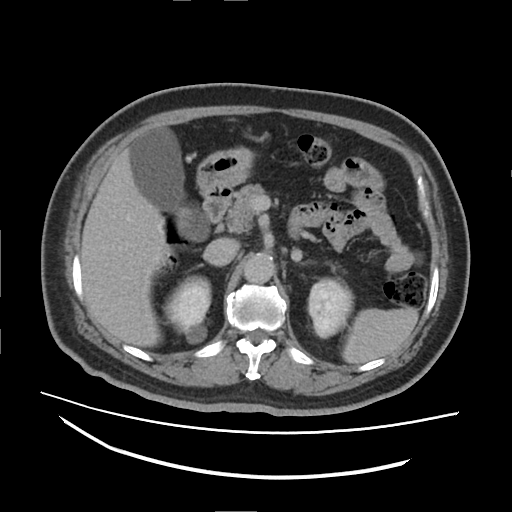
Multiphase abdominal CT, liver, delayed phase. Patient: male, age 63.